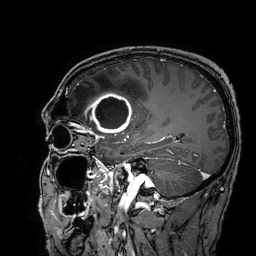
Summary: 3 Tesla brain MRI. Series: 3D T1-weighted turbo field echo with SENSE. Study: ring-enhancing brain masses.